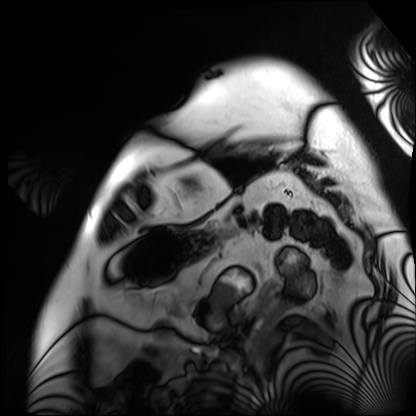
<study>
<modality>cardiac MRI</modality>
<cohort>patient</cohort>
</study>